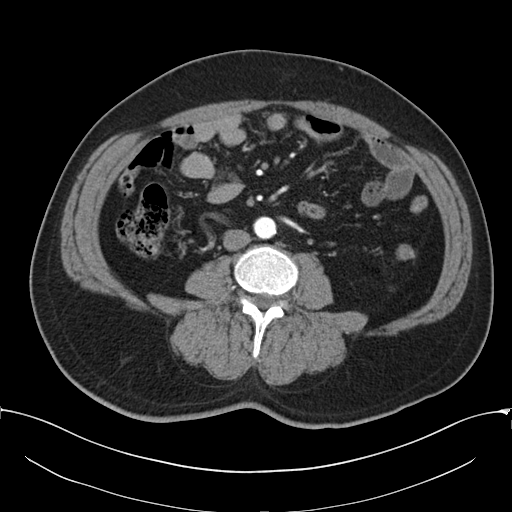
Case summary: Multiphase abdominal CT, liver, arterial phase. Patient: male, age 52. History: cirrhosis, viral hepatitis.